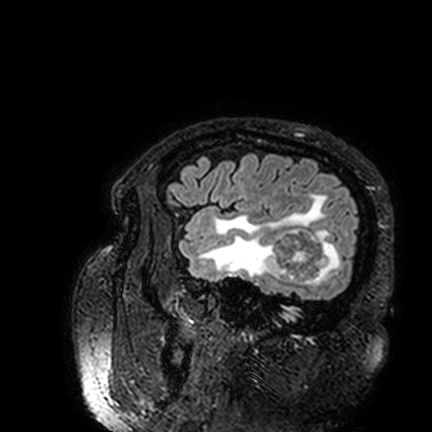
3 Tesla brain MRI.
Series: FLAIR VISTA.
Study: ring-enhancing brain masses.